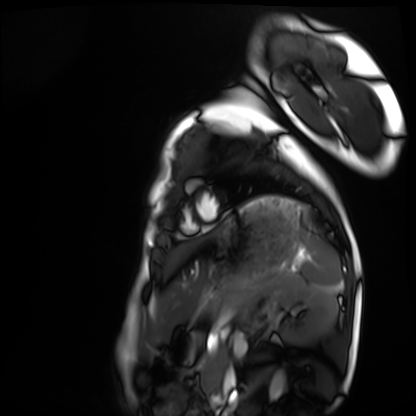
modality: cardiac MRI
cohort: healthy volunteer